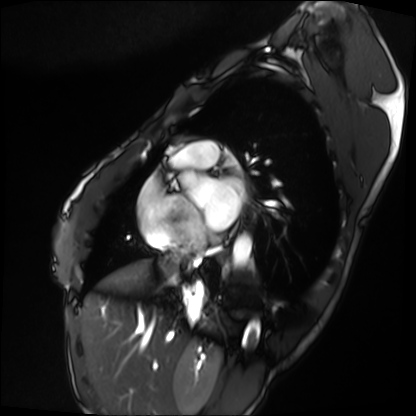
modality=cardiac MRI | subject group=patient.